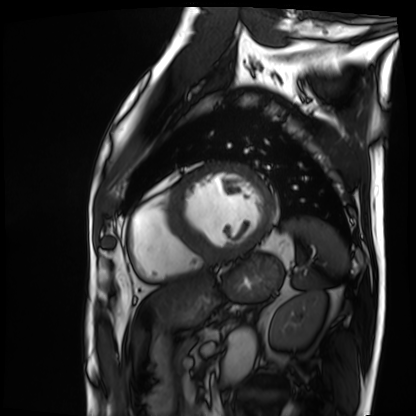
• modality: cardiac MRI
• subject group: patient